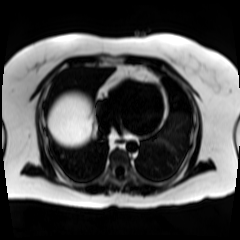
Chemical-shift-encoded cardiac MRI.